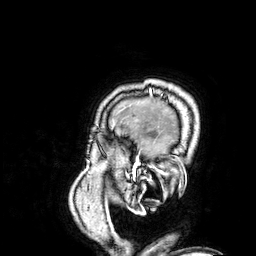
  modality:
    type: brain MRI
    field_strength: 3T
  series: 3D T1-weighted
  study_topic: ring-enhancing brain masses